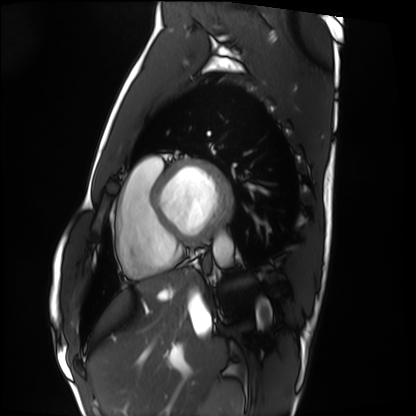
Clinical context: Cardiac MRI. Subject group: healthy volunteer.